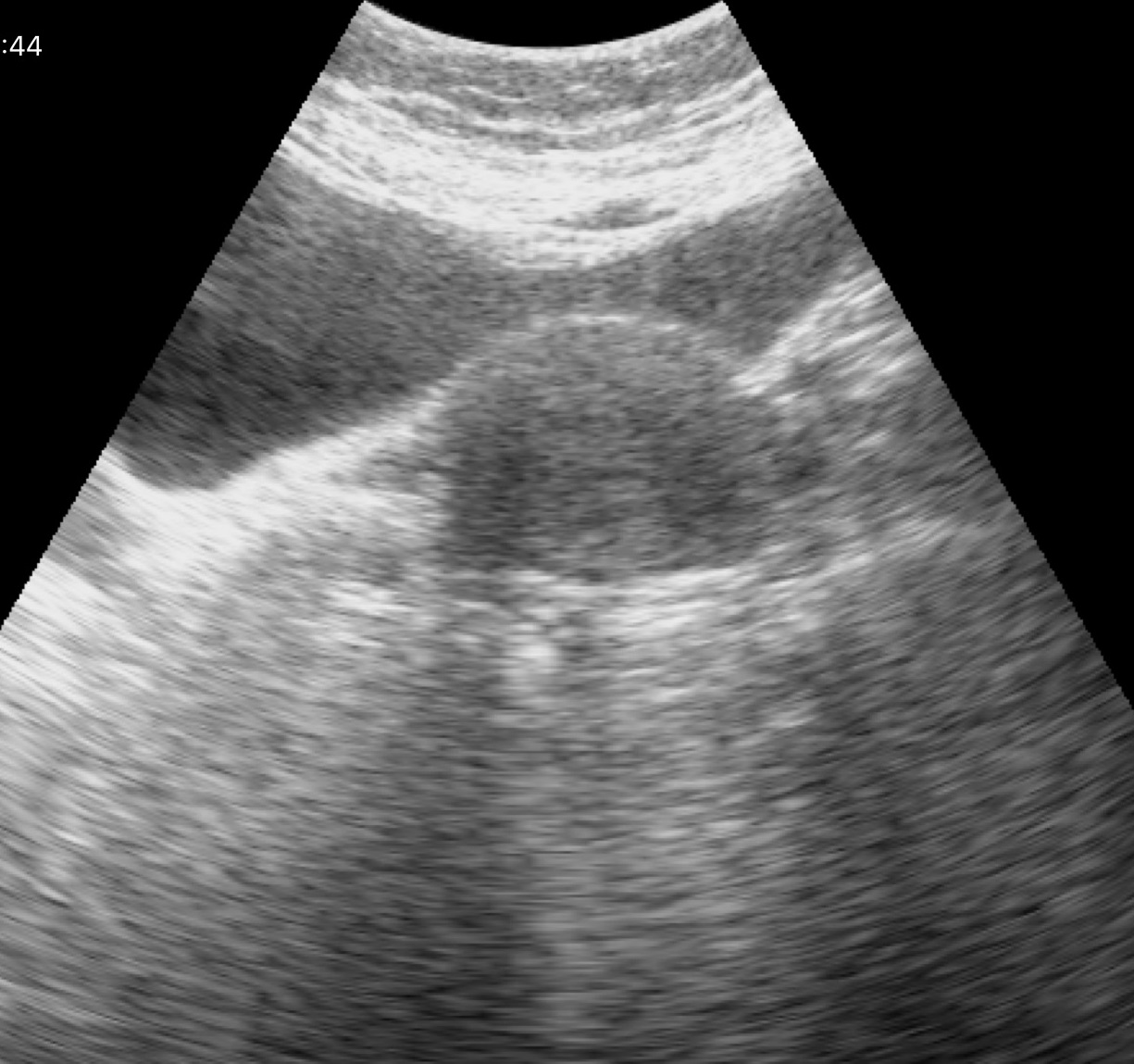
| field | value |
|---|---|
| modality | genitourinary ultrasound |